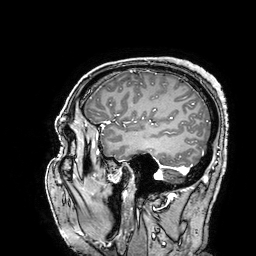
modality = 3 Tesla brain MRI; series = 3D T1-weighted turbo field echo with SENSE; study = ring-enhancing brain masses.